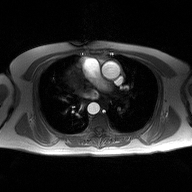
modality=2D phase-contrast cine MRI of the ascending aorta.